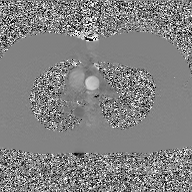
Summary: 2D phase-contrast cine MRI of the ascending aorta, GAN super-resolution reconstruction.